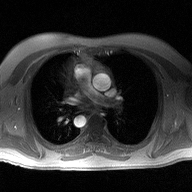
modality=2D phase-contrast cine MRI of the ascending aorta.